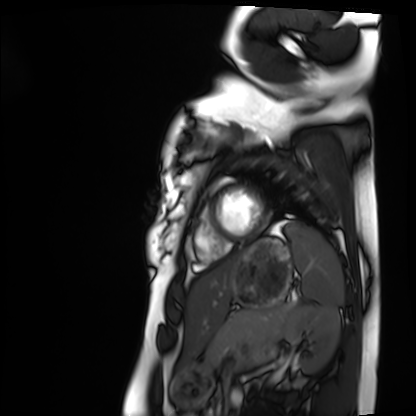
Cardiac MRI.
Subject group: healthy volunteer.